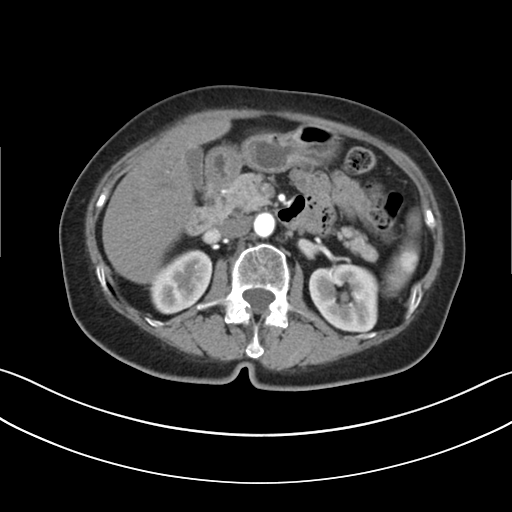
Multiphase abdominal CT, liver, arterial phase. Patient: female, age 69.